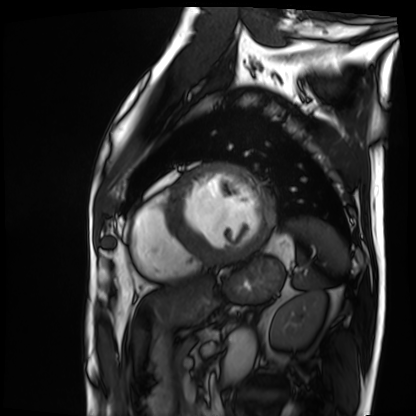
Cardiac MRI. Subject group: patient.